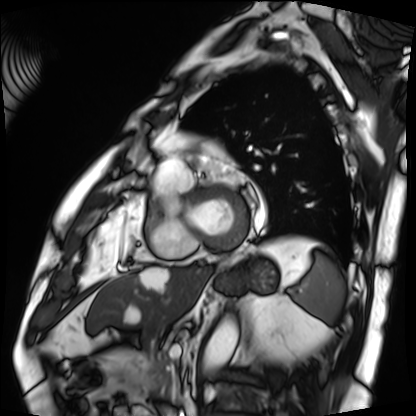
modality: cardiac MRI
subject group: patient